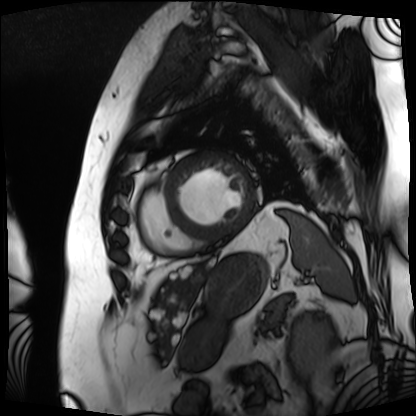
Cardiac MRI. Subject group: patient.